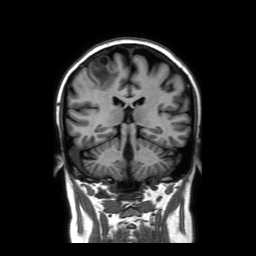
3 Tesla brain MRI.
Series: coronal without contrast.
Study: ring-enhancing brain masses.